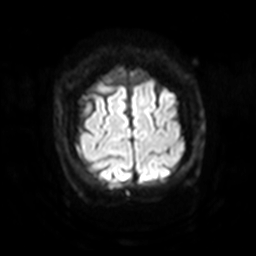
Summary:
3 Tesla brain MRI. Series: diffusion-weighted imaging with SENSE (WIP). Study: ring-enhancing brain masses.